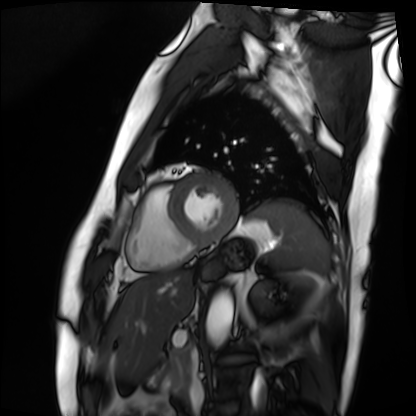
– modality — cardiac MRI
– subject group — patient